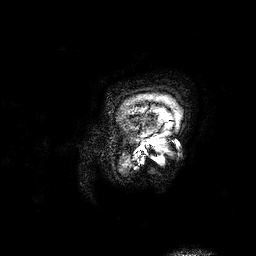
3 Tesla brain MRI. Series: 3D T1-weighted. Study: ring-enhancing brain masses.